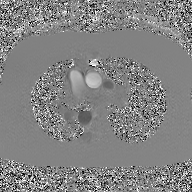
modality: 2D phase-contrast cine MRI of the ascending aorta, GAN super-resolution reconstruction.